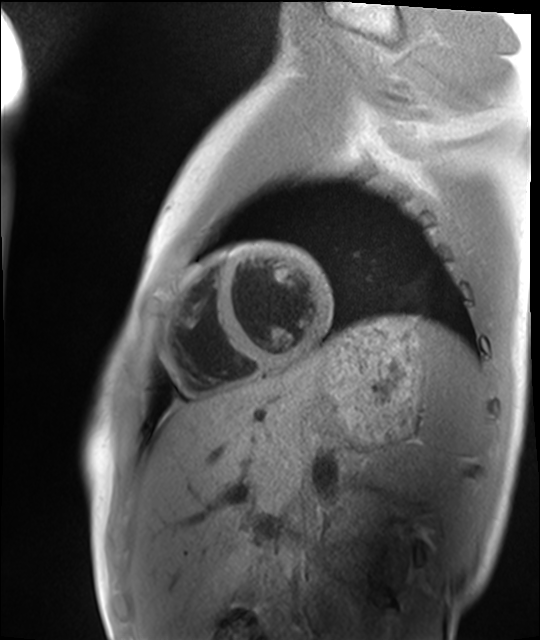
Cardiac MRI. Subject group: healthy volunteer.